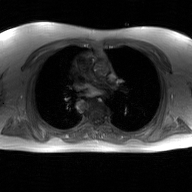
modality — 2D phase-contrast cine MRI of the ascending aorta, GAN super-resolution reconstruction.